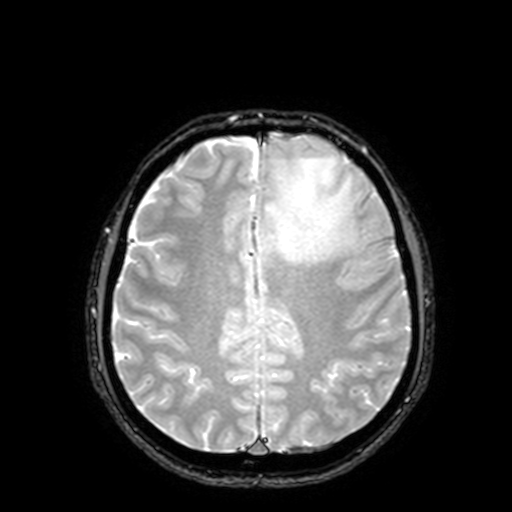
{"modality": {"type": "brain MRI", "field_strength": "3T"}, "series": "T2-weighted fast field echo with SENSE", "study_topic": "ring-enhancing brain masses"}